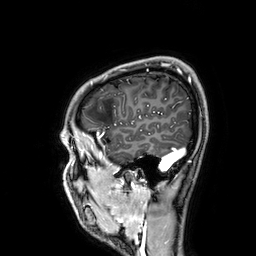
modality = 3 Tesla brain MRI; series = 3D T1-weighted; study = ring-enhancing brain masses.